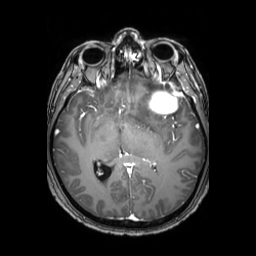
modality = 3 Tesla brain MRI
series = 3D T1-weighted TFE with SENSE
study = ring-enhancing brain masses